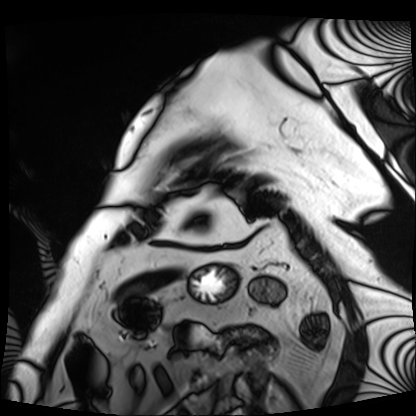
Clinical context: Cardiac MRI. Subject group: patient.